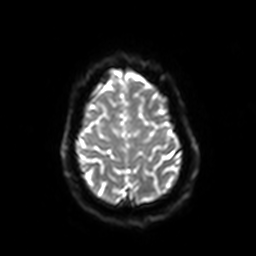
Q: What kind of scan is this?
A: 3 Tesla brain MRI.
Q: Series?
A: Diffusion-weighted imaging with SENSE (WIP).
Study: ring-enhancing brain masses.